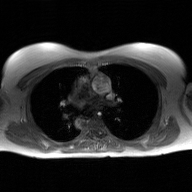
Case summary: 2D phase-contrast cine MRI of the ascending aorta, GAN super-resolution reconstruction.